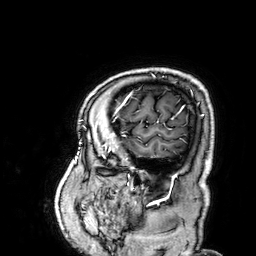
3 Tesla brain MRI. Series: 3D T1-weighted. Study: ring-enhancing brain masses.